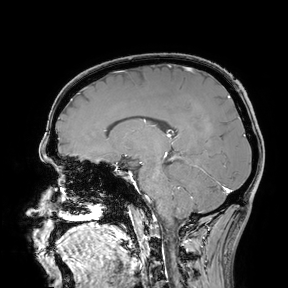
| field | value |
|---|---|
| modality | 3 Tesla brain MRI |
| study | ring-enhancing brain masses |